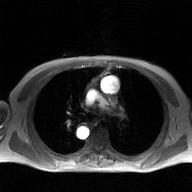
Summary: 2D phase-contrast cine MRI of the ascending aorta, GAN super-resolution reconstruction.